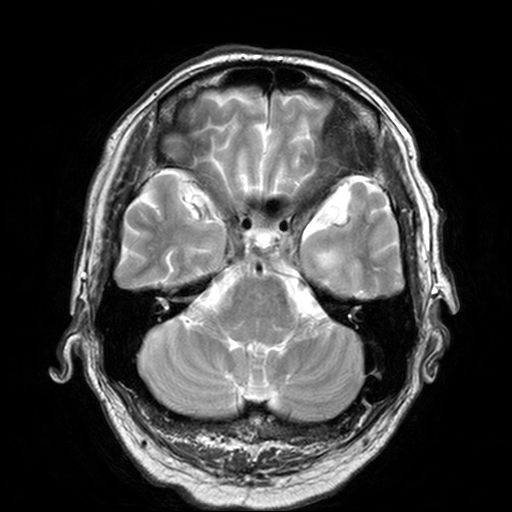
3 Tesla brain MRI.
Series: T2-weighted turbo spin echo, 3 mm.
Study: ring-enhancing brain masses.